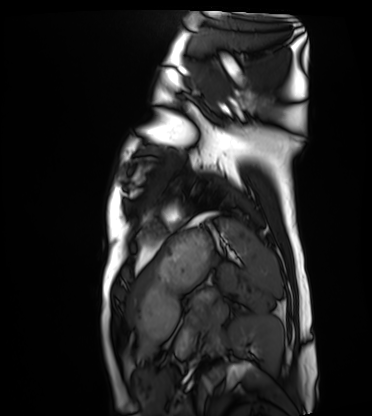
Cardiac MRI. Subject group: healthy volunteer.